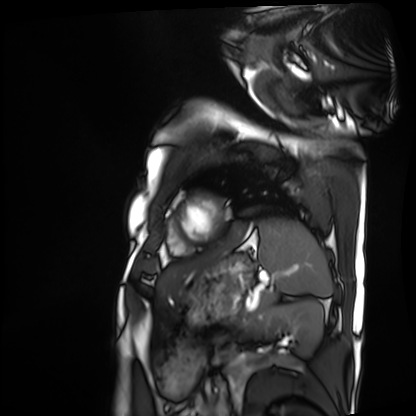
modality: cardiac MRI
subject group: patient